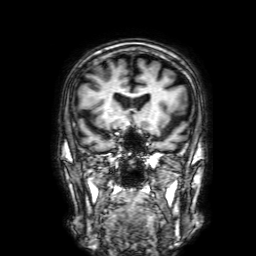
{
  "modality": {
    "type": "brain MRI",
    "field_strength": "3T"
  },
  "series": "3D T1-weighted with SENSE",
  "study_topic": "ring-enhancing brain masses"
}